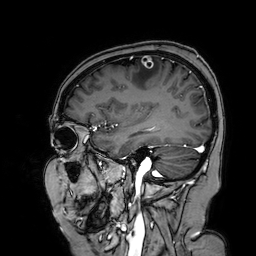
Summary: 3 Tesla brain MRI. Series: 3D T1-weighted turbo field echo with SENSE. Study: ring-enhancing brain masses.